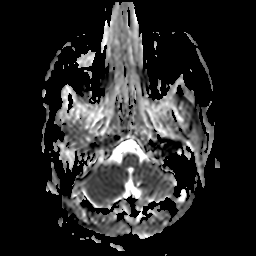
Clinical context:
3 Tesla brain MRI. Series: apparent diffusion coefficient (ADC) map. Study: ring-enhancing brain masses.